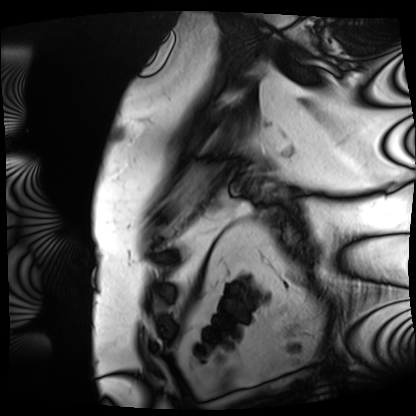
modality — cardiac MRI | subject group — patient.